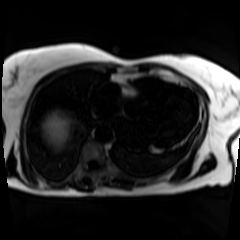
modality: chemical-shift-encoded cardiac MRI.